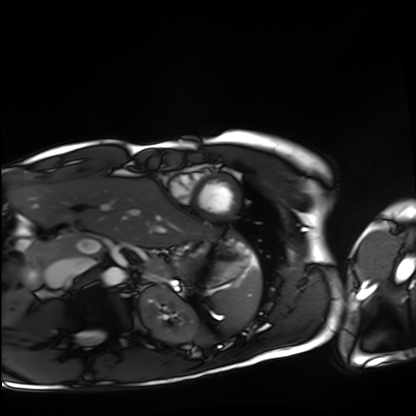
modality = cardiac MRI | subject group = healthy volunteer.